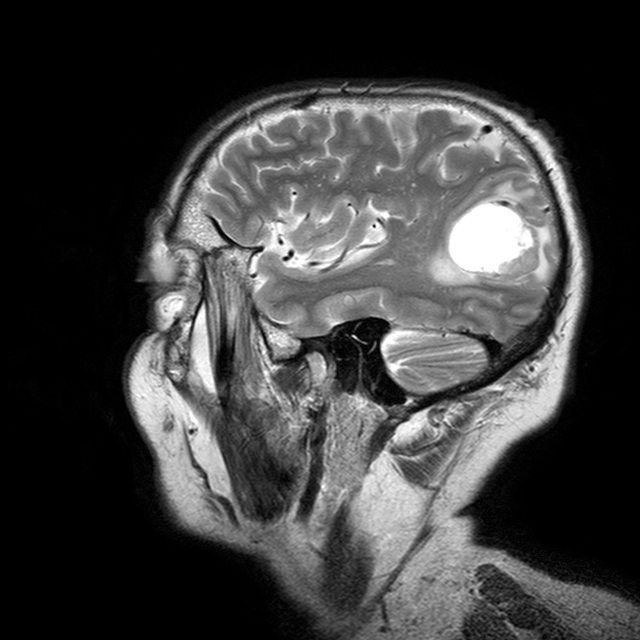
Clinical context:
3 Tesla brain MRI. Series: T2-weighted turbo spin echo with CLEAR. Study: ring-enhancing brain masses.